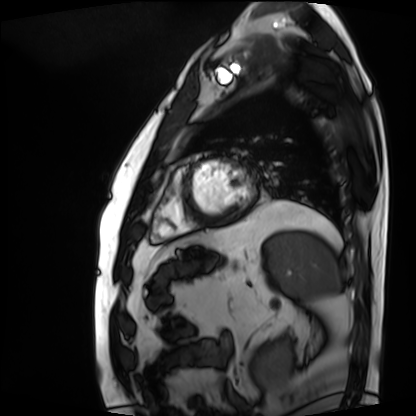
modality: cardiac MRI
cohort: patient